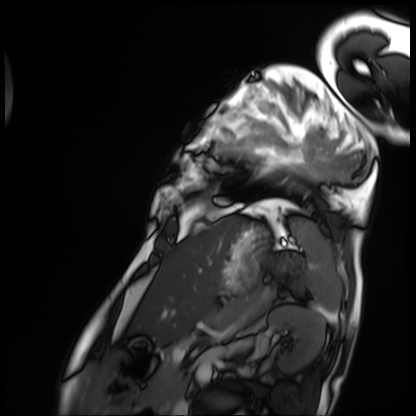
Summary:
Cardiac MRI. Subject group: patient.